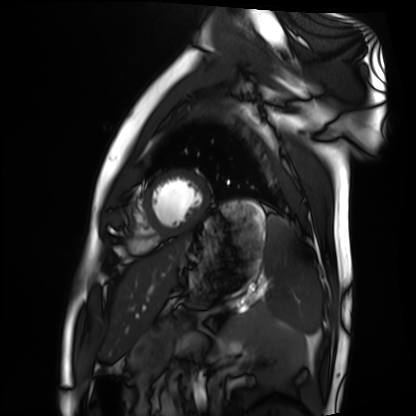
Summary: Cardiac MRI. Subject group: healthy volunteer.